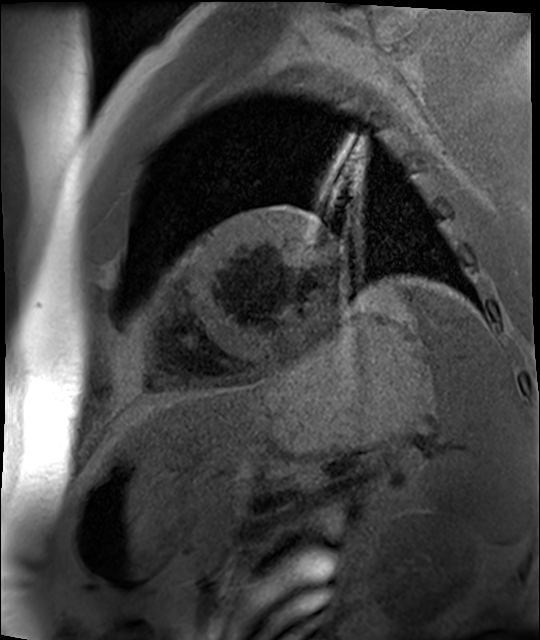
modality: cardiac MR image of the myocardium
subject cohort: cardiac patient